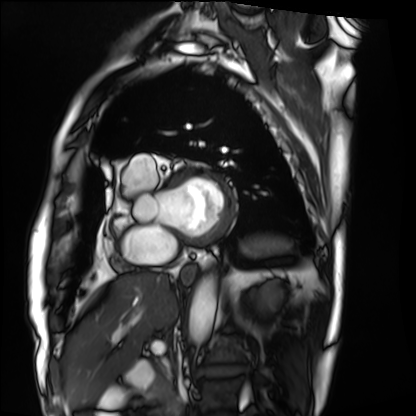
Cardiac MRI.
Subject group: patient.